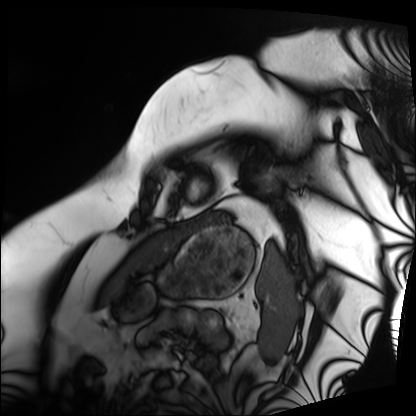
Cardiac MRI.
Subject group: patient.